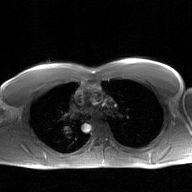
modality: 2D phase-contrast cine MRI of the ascending aorta, GAN super-resolution reconstruction.